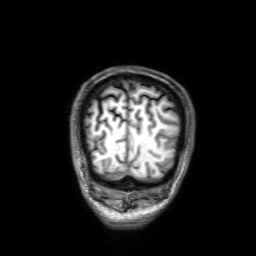
3 Tesla brain MRI. Series: 3D T1-weighted with SENSE. Study: ring-enhancing brain masses.